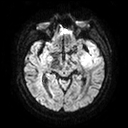
3 Tesla brain MRI. Series: diffusion tensor imaging (medium iso). Study: ring-enhancing brain masses.